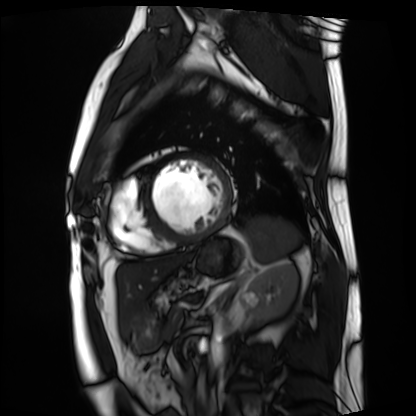
* modality — cardiac MRI
* subject group — patient